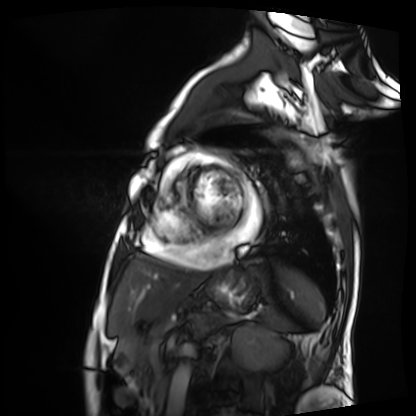
Cardiac MRI. Subject group: patient.